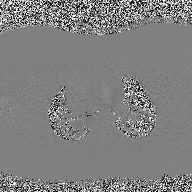
modality=2D phase-contrast cine MRI of the ascending aorta.